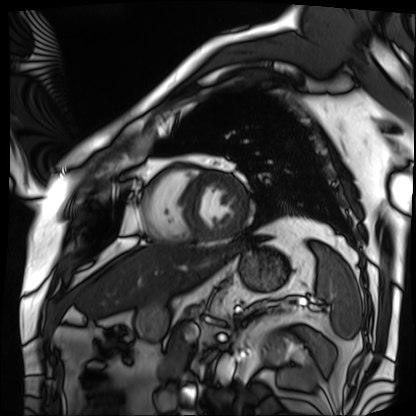
Cardiac MRI. Subject group: patient.